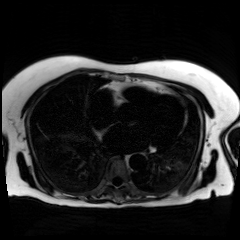
{
  "modality": "chemical-shift-encoded cardiac MRI"
}